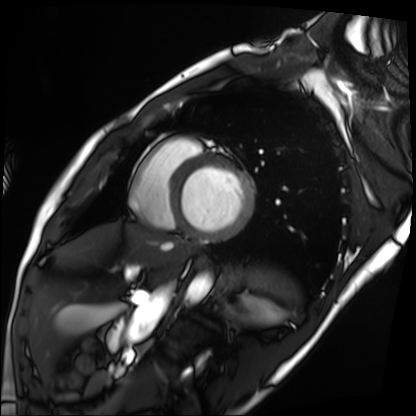
Cardiac MRI. Subject group: patient.